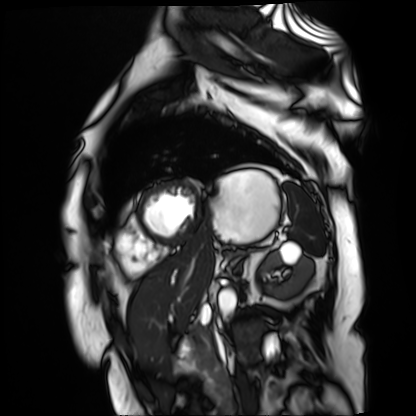
{
  "modality": "cardiac MR image of the myocardium",
  "cohort": "cardiac patient"
}